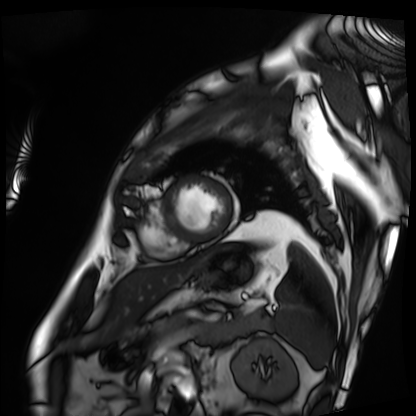
<scan>
<modality>cardiac MRI</modality>
<cohort>patient</cohort>
</scan>